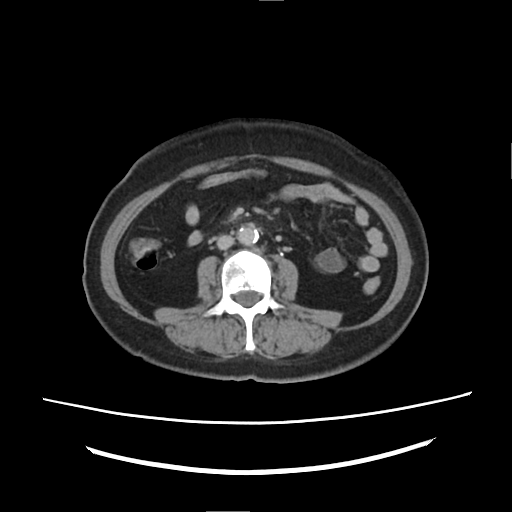
modality=multiphase abdominal CT, liver, delayed phase | patient=female, age 60 | history=prior chemotherapy.